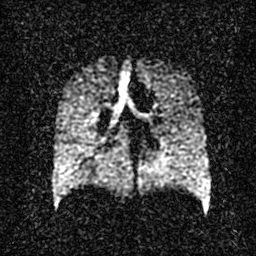
Hyperpolarized 129Xe ventilation MRI of the lungs.
SNR level 2 of 8 (the deposit holds this scan as its native image and as seven SNR-degraded versions).